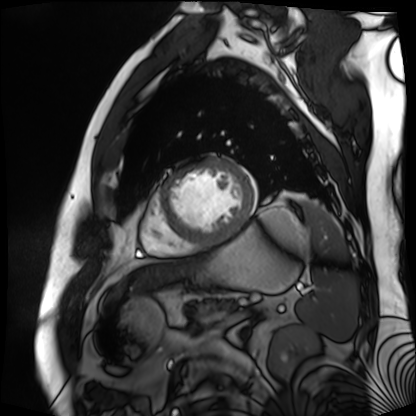
Cardiac MR image of the myocardium. Subject cohort: cardiac patient.